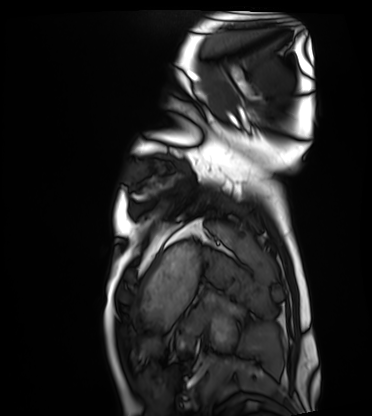
modality=cardiac MRI | subject group=healthy volunteer.